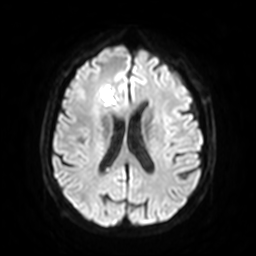
3 Tesla brain MRI. Series: diffusion-weighted imaging with SENSE (WIP). Study: ring-enhancing brain masses.